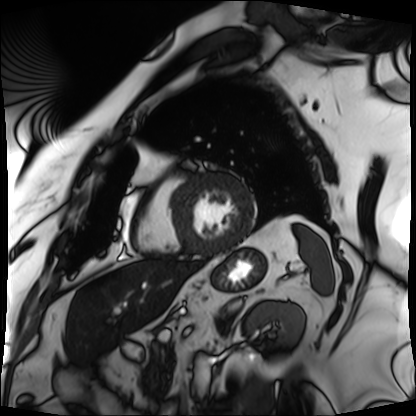
Cardiac MRI.
Subject group: patient.